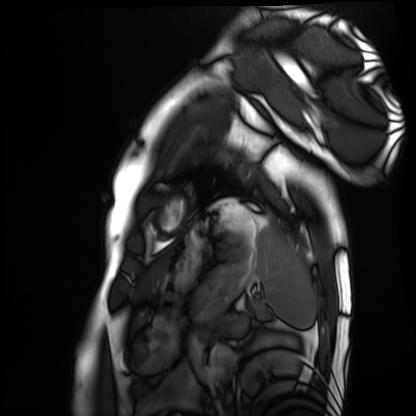
Cardiac MRI. Subject group: healthy volunteer.